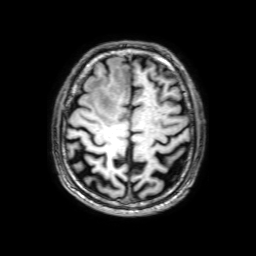
3 Tesla brain MRI.
Series: 3D T1-weighted with SENSE.
Study: ring-enhancing brain masses.